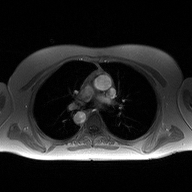
* modality: 2D phase-contrast cine MRI of the ascending aorta